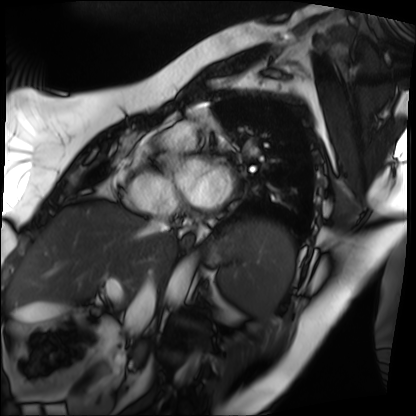
modality: cardiac MRI | subject group: patient.